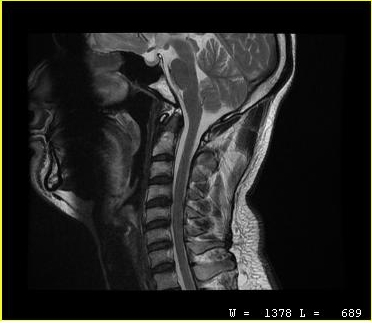
Q: What kind of scan is this?
A: MRI of the cervical spine.
Study: cervical spondylosis.